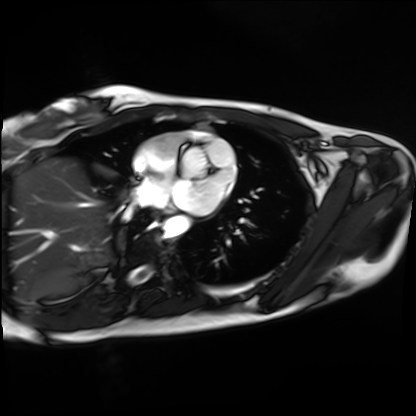
modality: cardiac MRI; subject group: healthy volunteer.